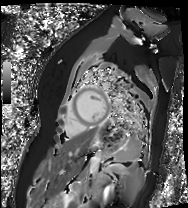
modality — cardiac MR image of the myocardium
subject cohort — healthy volunteer